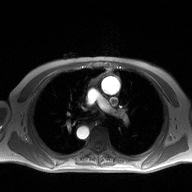
modality = 2D phase-contrast cine MRI of the ascending aorta.